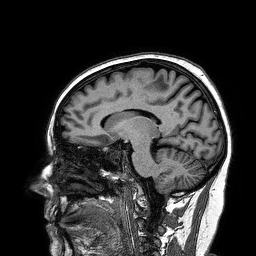
* modality — 3 Tesla brain MRI
* series — 3D T1-weighted turbo field echo
* study — ring-enhancing brain masses